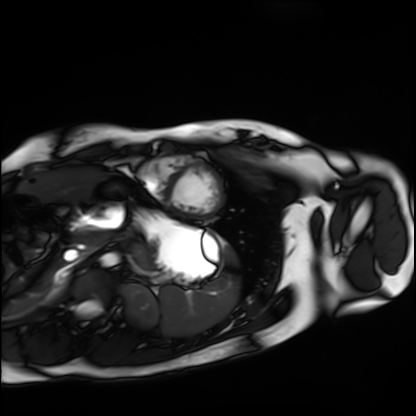
Summary: Cardiac MRI. Subject group: healthy volunteer.